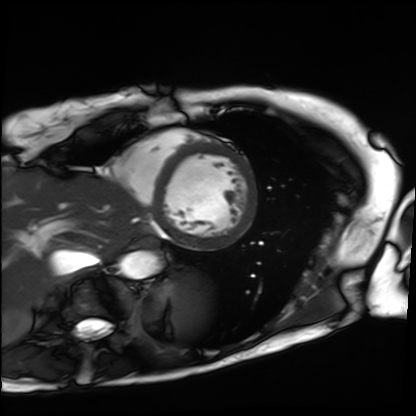
Summary: Cardiac MRI. Subject group: patient.